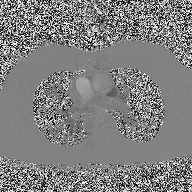
Clinical context:
2D phase-contrast cine MRI of the ascending aorta, high-resolution GRAPPA acquisition.